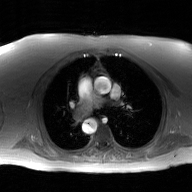
2D phase-contrast cine MRI of the ascending aorta, GAN super-resolution reconstruction.